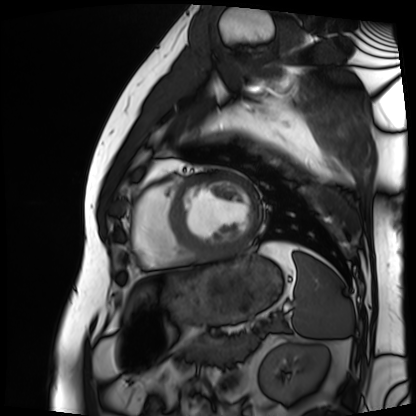
Cardiac MRI. Subject group: patient.